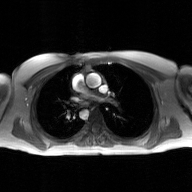
modality = 2D phase-contrast cine MRI of the ascending aorta, GAN super-resolution reconstruction.